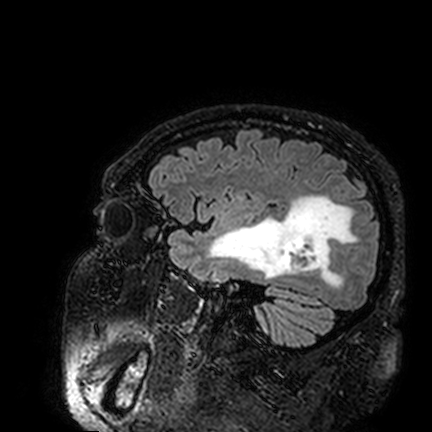
Summary:
3 Tesla brain MRI. Series: FLAIR VISTA. Study: ring-enhancing brain masses.